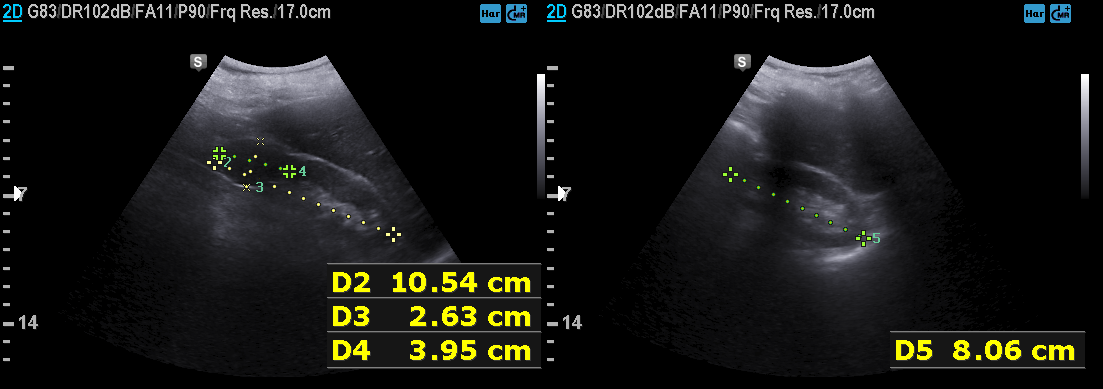
Summary:
Genitourinary ultrasound.